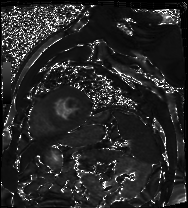
Cardiac MR image of the myocardium. Subject cohort: cardiac patient.